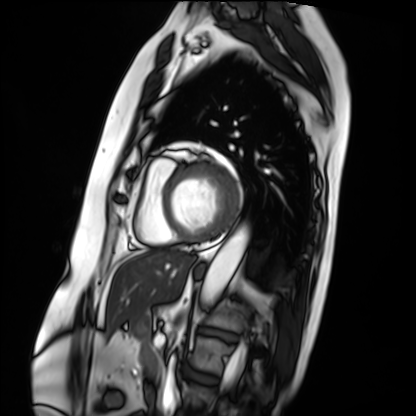
Cardiac MRI.
Subject group: patient.